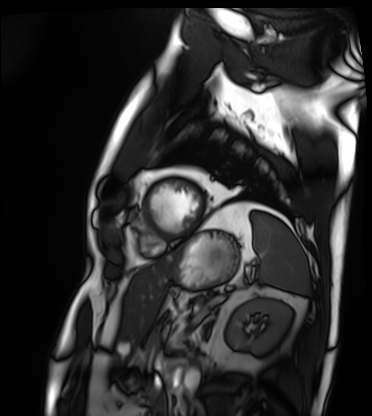
Cardiac MRI. Subject group: patient.